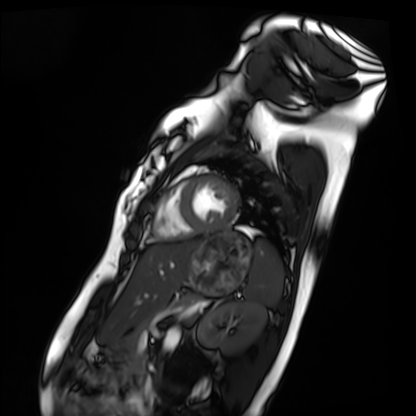
– modality · cardiac MRI
– subject group · healthy volunteer